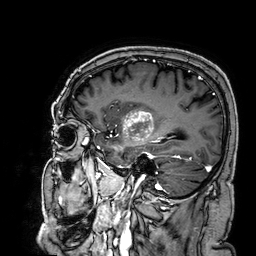
3 Tesla brain MRI. Series: 3D T1-weighted. Study: ring-enhancing brain masses.